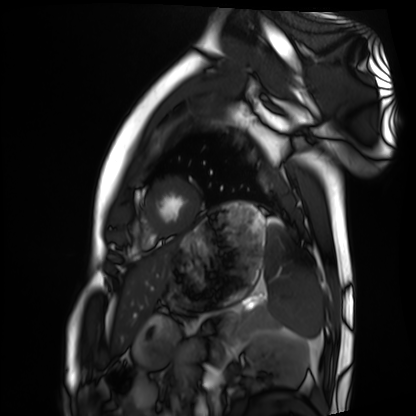
modality: cardiac MRI, subject group: healthy volunteer.